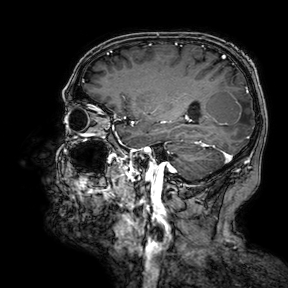
Clinical context: 3 Tesla brain MRI. Series: 3D T1-weighted turbo field echo with SENSE. Study: ring-enhancing brain masses.